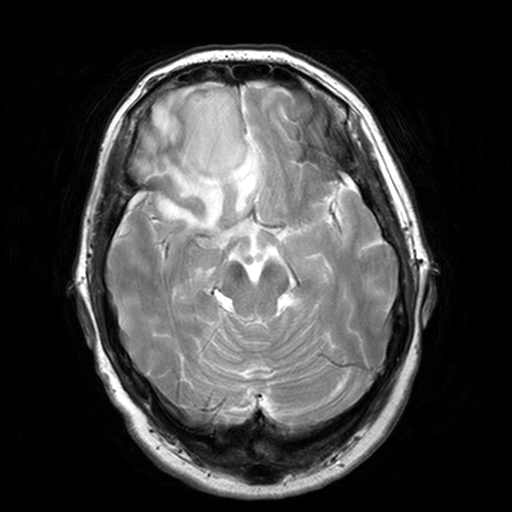
Case:
* modality: 3 Tesla brain MRI
* series: T2-weighted turbo spin echo, 3 mm
* study: ring-enhancing brain masses